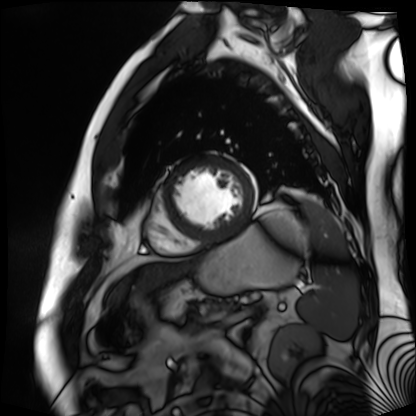
Cardiac MR image of the myocardium.
Subject cohort: cardiac patient.